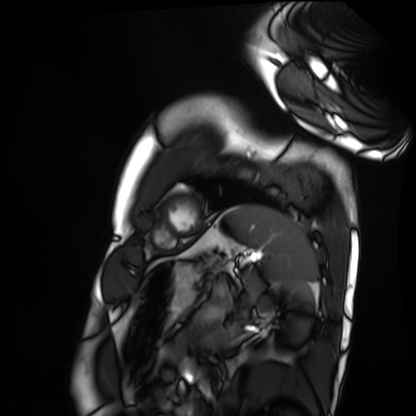
Case:
– modality: cardiac MRI
– subject group: healthy volunteer